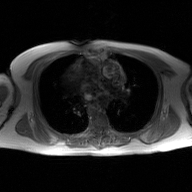
Q: What kind of scan is this?
A: 2D phase-contrast cine MRI of the ascending aorta, GAN super-resolution reconstruction.